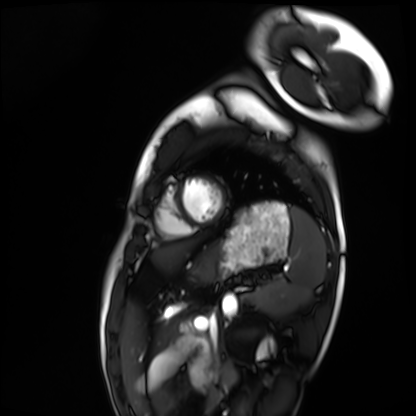
Case summary: Cardiac MRI. Subject group: healthy volunteer.